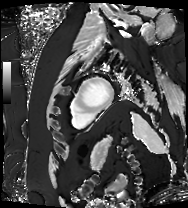
modality = cardiac MRI
subject group = patient